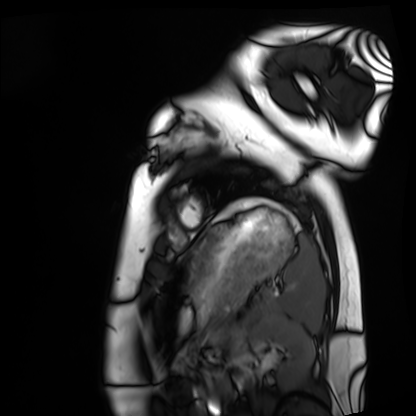
modality = cardiac MRI; subject group = healthy volunteer.